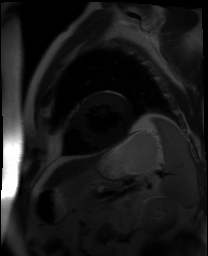
<record>
<modality>cardiac MR image of the myocardium</modality>
<cohort>cardiac patient</cohort>
</record>